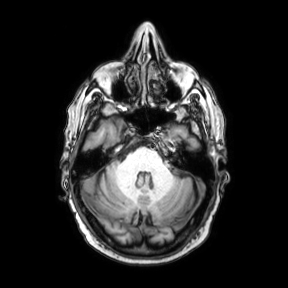
Case:
• modality · 3 Tesla brain MRI
• series · axial
• study · ring-enhancing brain masses